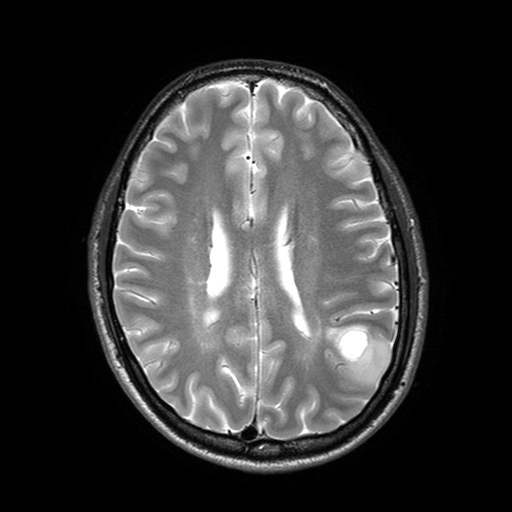
3 Tesla brain MRI. Study: ring-enhancing brain masses.